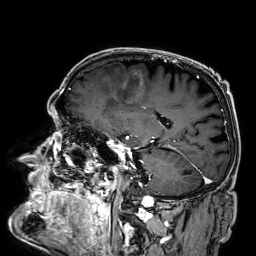
3 Tesla brain MRI.
Series: 3D T1-weighted.
Study: ring-enhancing brain masses.